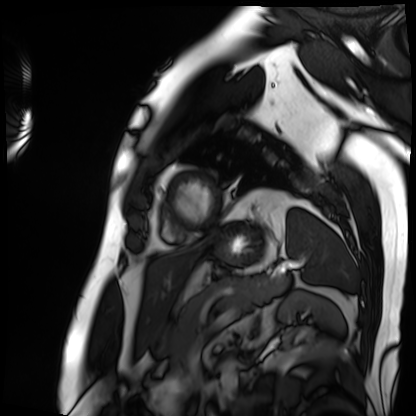
| field | value |
|---|---|
| modality | cardiac MRI |
| subject group | patient |